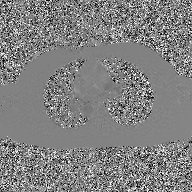
modality: 2D phase-contrast cine MRI of the ascending aorta, GAN super-resolution reconstruction.